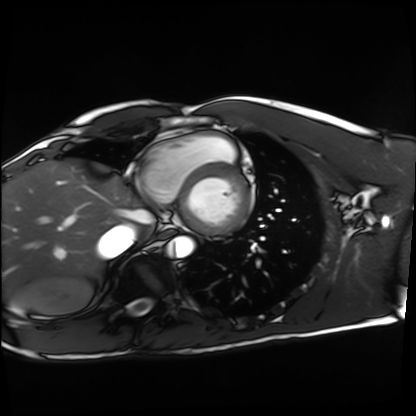
modality = cardiac MRI, subject group = healthy volunteer.